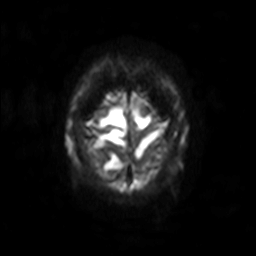
3 Tesla brain MRI.
Series: diffusion-weighted imaging with SENSE (WIP).
Study: ring-enhancing brain masses.